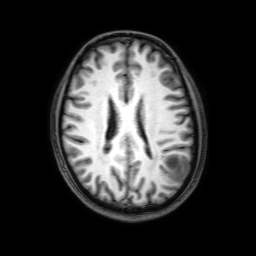
• modality — 3 Tesla brain MRI
• series — 3D T1-weighted with SENSE
• study — ring-enhancing brain masses